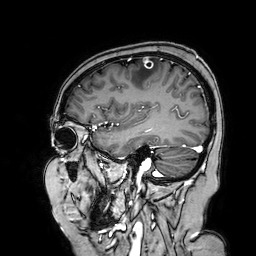
3 Tesla brain MRI. Series: 3D T1-weighted turbo field echo with SENSE. Study: ring-enhancing brain masses.